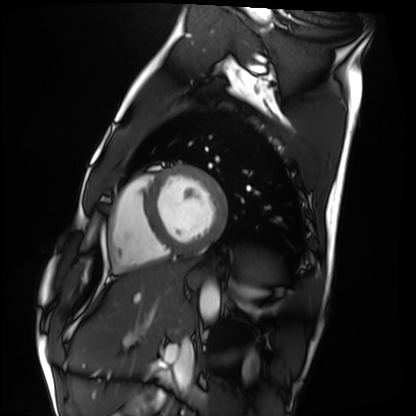
Case:
- modality — cardiac MRI
- subject group — healthy volunteer